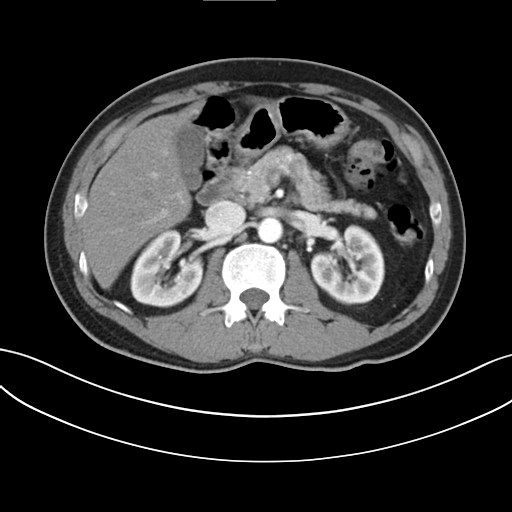
modality — multiphase abdominal CT, liver, arterial phase; patient — male, age 60.